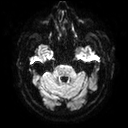
modality: 3 Tesla brain MRI; series: diffusion tensor imaging (medium iso); study: ring-enhancing brain masses.